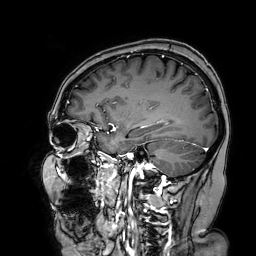
Summary:
3 Tesla brain MRI. Series: 3D T1-weighted turbo field echo with SENSE. Study: ring-enhancing brain masses.